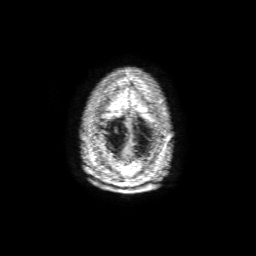
3 Tesla brain MRI.
Series: 3D T1-weighted with SENSE.
Study: ring-enhancing brain masses.